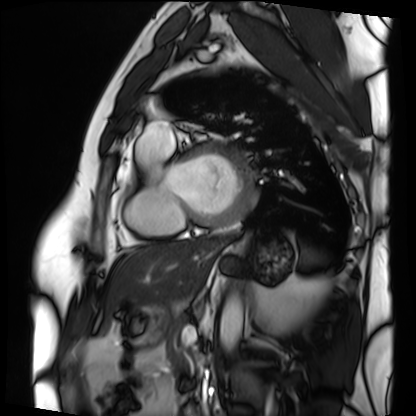
Cardiac MRI. Subject group: patient.